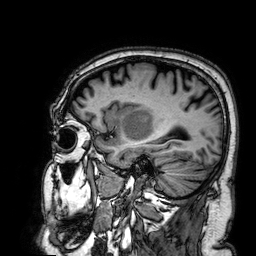
* modality · 3 Tesla brain MRI
* series · 3D T1-weighted
* study · ring-enhancing brain masses